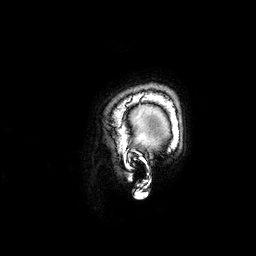
<case>
<modality>
  <type>brain MRI</type>
  <field_strength>3T</field_strength>
</modality>
<series>3D T1-weighted</series>
<study_topic>ring-enhancing brain masses</study_topic>
</case>